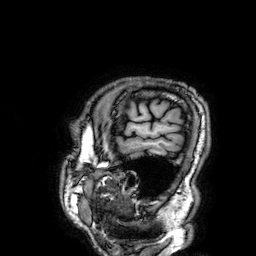
Q: What kind of scan is this?
A: 3 Tesla brain MRI.
Q: Series?
A: 3D T1-weighted.
Study: ring-enhancing brain masses.